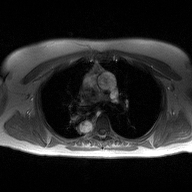
Clinical context: 2D phase-contrast cine MRI of the ascending aorta, high-resolution GRAPPA acquisition.